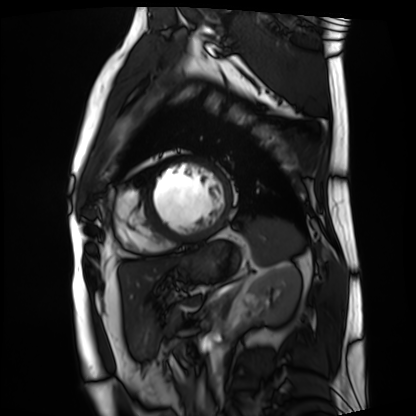
* modality — cardiac MRI
* subject group — patient